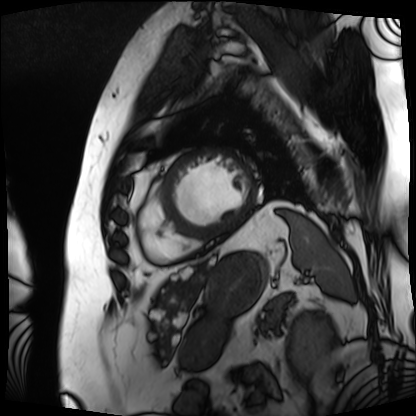
<record>
<modality>cardiac MRI</modality>
<cohort>patient</cohort>
</record>